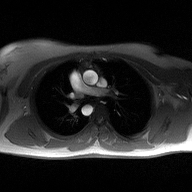
| field | value |
|---|---|
| modality | 2D phase-contrast cine MRI of the ascending aorta |